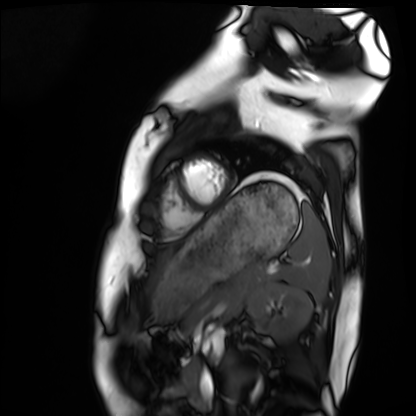
{"modality": "cardiac MRI", "cohort": "healthy volunteer"}